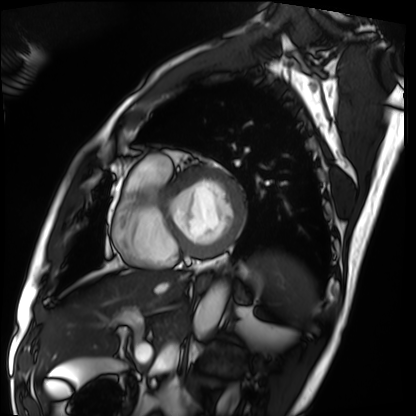
Cardiac MRI.
Subject group: patient.